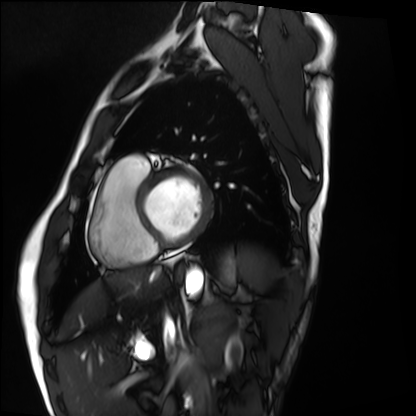
modality = cardiac MRI, subject group = healthy volunteer.